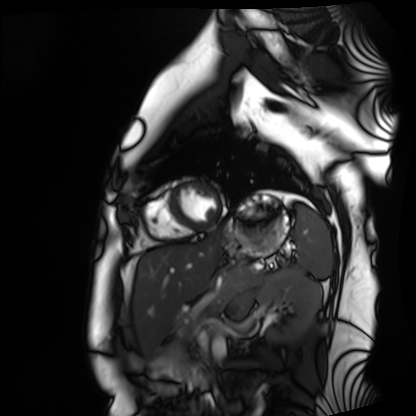
| field | value |
|---|---|
| modality | cardiac MRI |
| subject group | healthy volunteer |